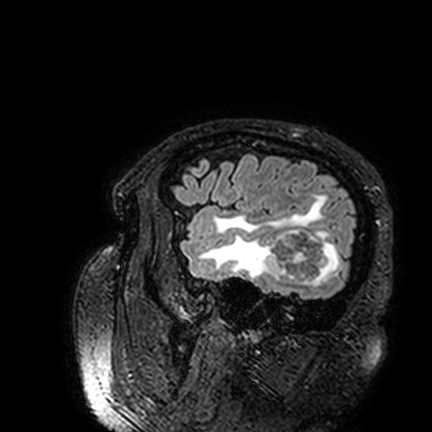
3 Tesla brain MRI.
Series: FLAIR VISTA.
Study: ring-enhancing brain masses.